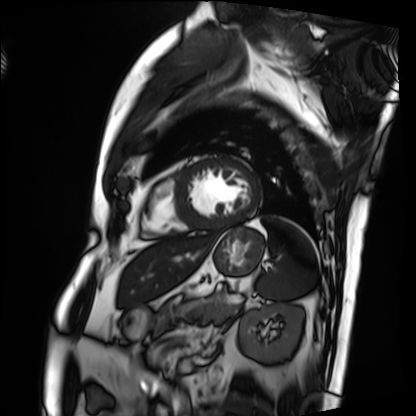
Summary:
Cardiac MRI. Subject group: patient.